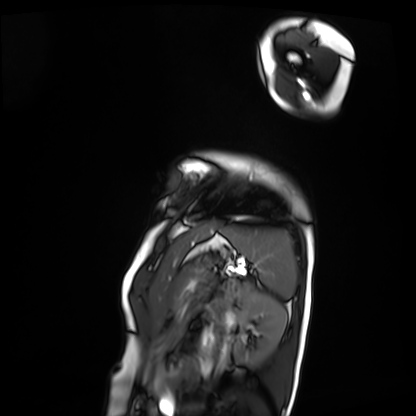
| field | value |
|---|---|
| modality | cardiac MRI |
| subject group | patient |